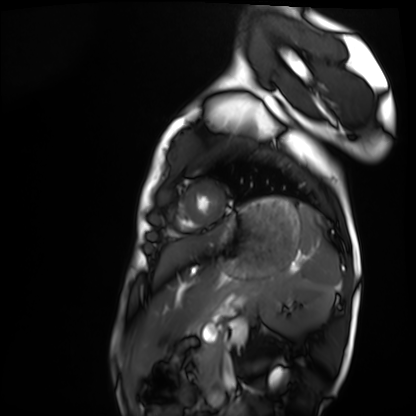
• modality: cardiac MRI
• subject group: healthy volunteer